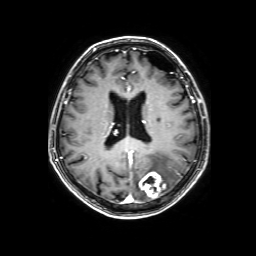
| field | value |
|---|---|
| modality | 3 Tesla brain MRI |
| series | 3D T1-weighted with SENSE |
| study | ring-enhancing brain masses |